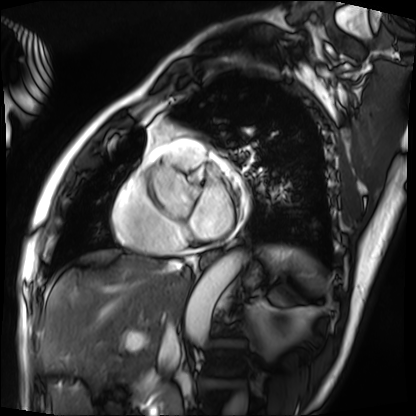
Q: What kind of scan is this?
A: Cardiac MRI.
Subject group: patient.